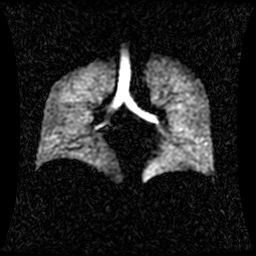
Hyperpolarized 129Xe ventilation MRI of the lungs. SNR level 1 of 8 (the deposit holds this scan as its native image and as seven SNR-degraded versions).